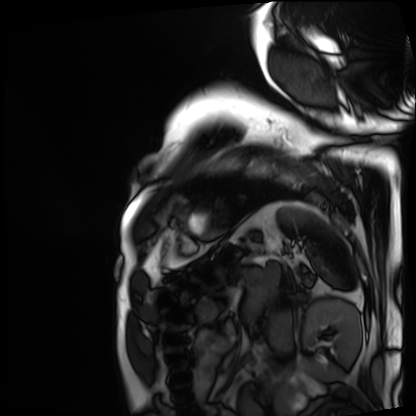
Cardiac MRI. Subject group: patient.